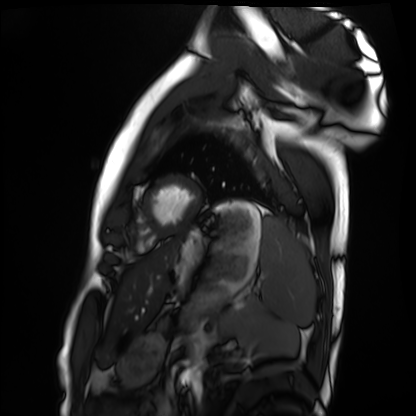
Q: What kind of scan is this?
A: Cardiac MRI.
Subject group: healthy volunteer.